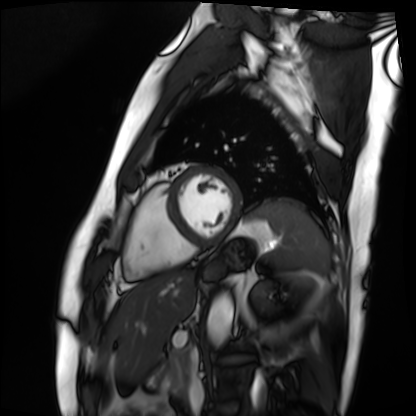
Cardiac MRI. Subject group: patient.